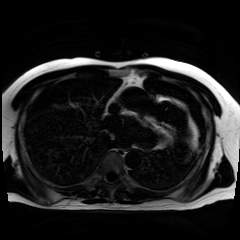
Case summary:
Chemical-shift-encoded cardiac MRI.